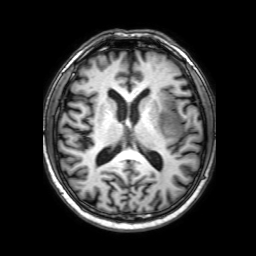
3 Tesla brain MRI.
Series: 3D T1-weighted with SENSE.
Study: ring-enhancing brain masses.